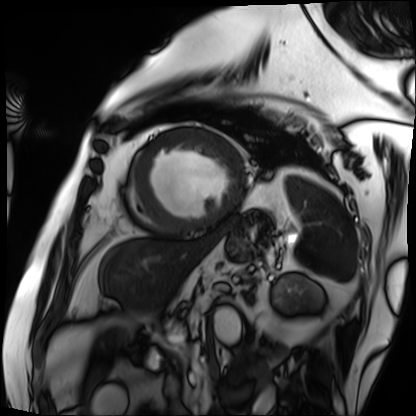
Q: What kind of scan is this?
A: Cardiac MRI.
Subject group: patient.